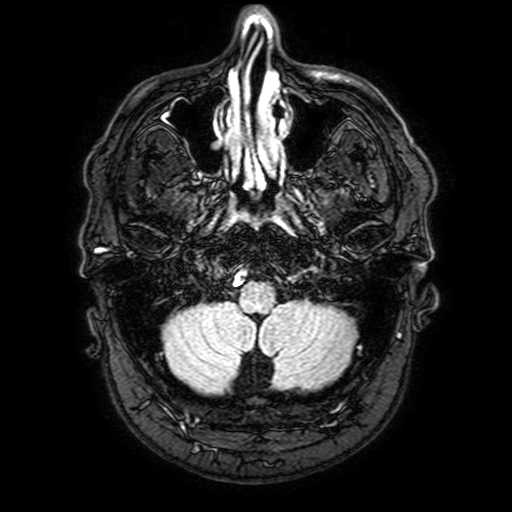
modality = 3 Tesla brain MRI
series = FLAIR with SPAIR, 3 mm
study = ring-enhancing brain masses